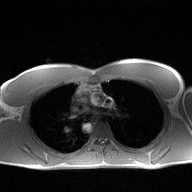
<scan>
<modality>
  <type>2D phase-contrast cine MRI</type>
  <region>ascending aorta</region>
  <reconstruction>high-resolution GRAPPA acquisition</reconstruction>
</modality>
</scan>